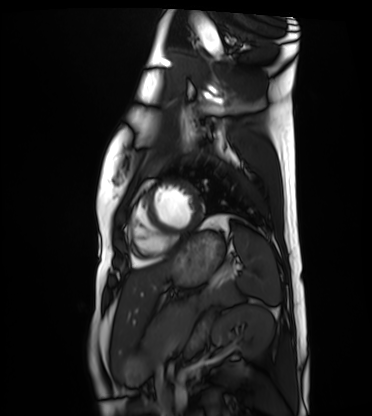
– modality — cardiac MRI
– subject group — healthy volunteer